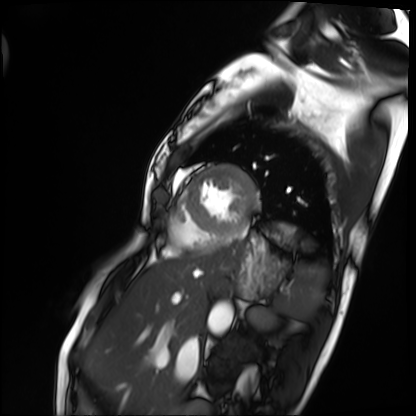
Case summary: Cardiac MRI. Subject group: patient.